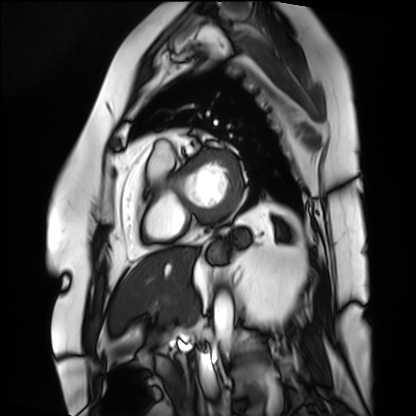
modality — cardiac MRI | subject group — patient.